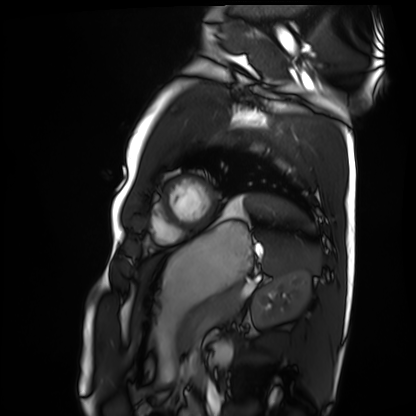
Q: What kind of scan is this?
A: Cardiac MRI.
Subject group: healthy volunteer.